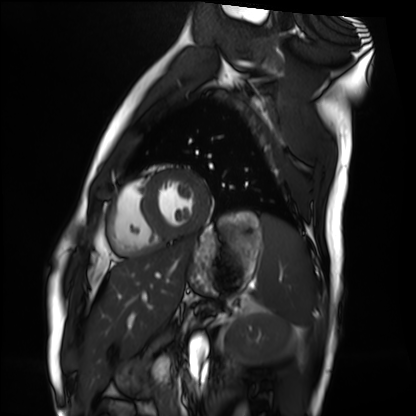
Q: What kind of scan is this?
A: Cardiac MRI.
Subject group: healthy volunteer.